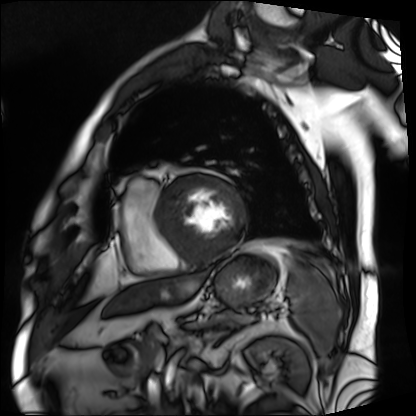
modality = cardiac MRI; subject group = patient.